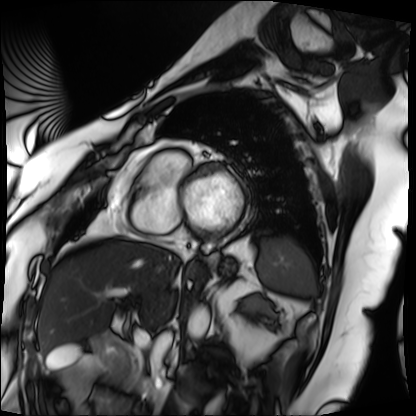
Q: What kind of scan is this?
A: Cardiac MRI.
Subject group: patient.